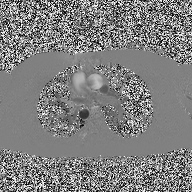
{"modality": {"type": "2D phase-contrast cine MRI", "region": "ascending aorta", "reconstruction": "high-resolution GRAPPA acquisition"}}